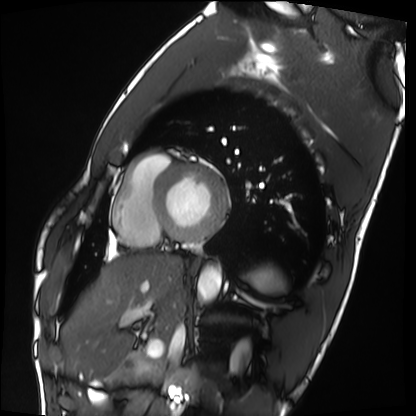
Summary: Cardiac MRI. Subject group: healthy volunteer.